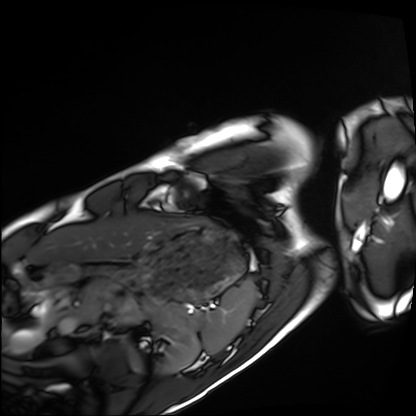
<record>
<modality>cardiac MRI</modality>
<cohort>healthy volunteer</cohort>
</record>